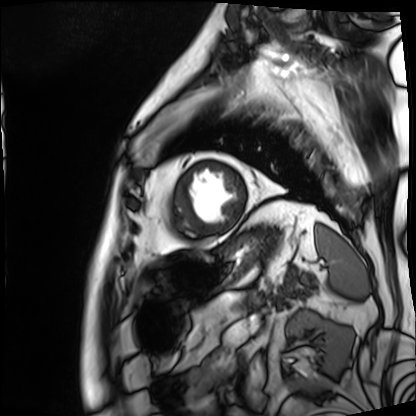
<scan>
<modality>cardiac MRI</modality>
<cohort>patient</cohort>
</scan>